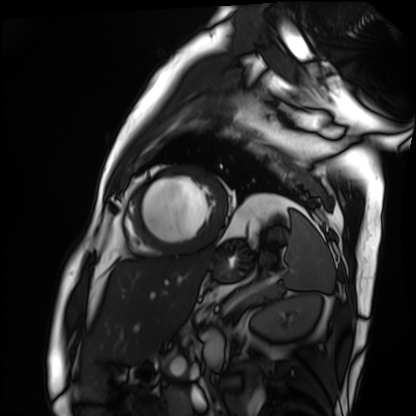
| field | value |
|---|---|
| modality | cardiac MRI |
| subject group | patient |